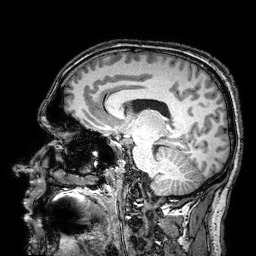
3 Tesla brain MRI.
Series: 3D T1-weighted turbo field echo with SENSE.
Study: ring-enhancing brain masses.